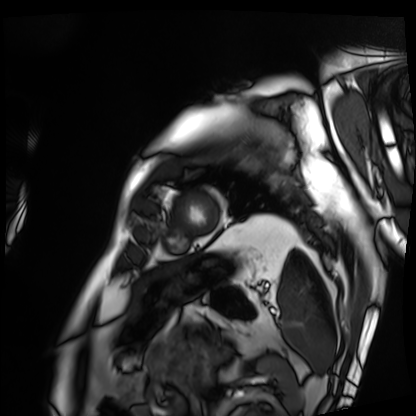
Cardiac MRI.
Subject group: patient.